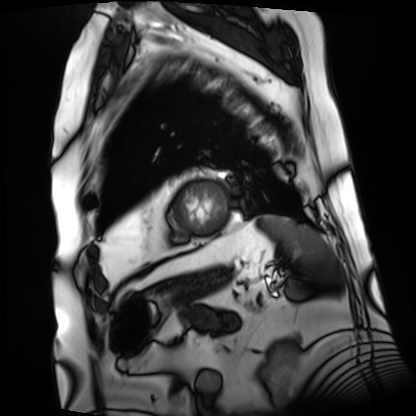
modality: cardiac MRI
subject group: patient